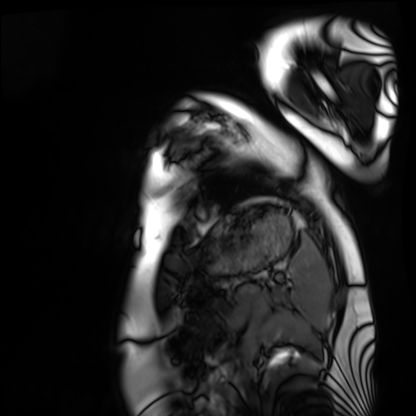
Summary:
Cardiac MRI. Subject group: healthy volunteer.